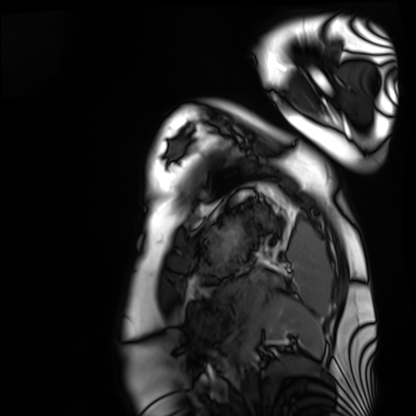
Case summary: Cardiac MRI. Subject group: healthy volunteer.